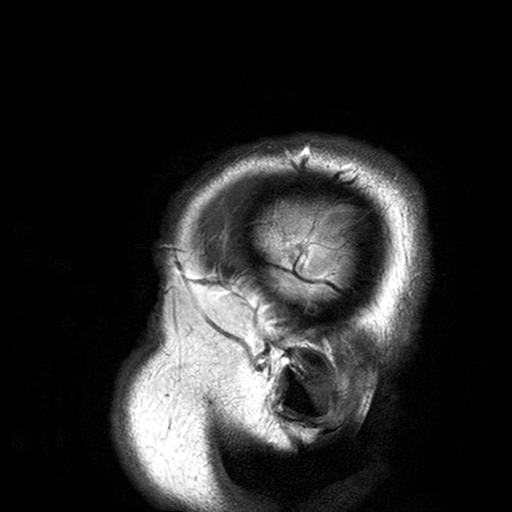
Clinical context:
3 Tesla brain MRI. Series: T2-weighted turbo spin echo with SENSE. Study: ring-enhancing brain masses.